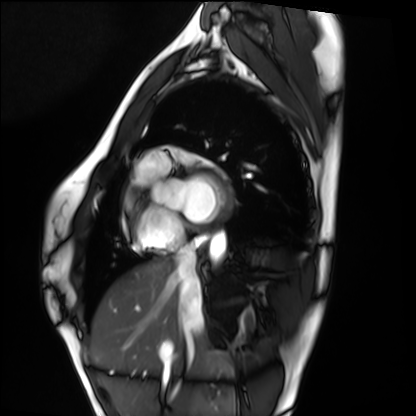
• modality: cardiac MRI
• subject group: healthy volunteer